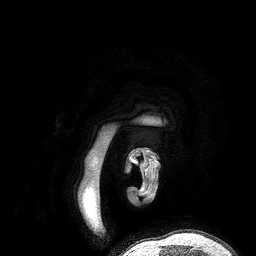
Q: What kind of scan is this?
A: 3 Tesla brain MRI.
Q: Series?
A: 3D T1-weighted turbo field echo.
Study: ring-enhancing brain masses.